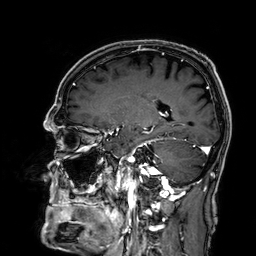
modality: 3 Tesla brain MRI
series: 3D T1-weighted
study: ring-enhancing brain masses